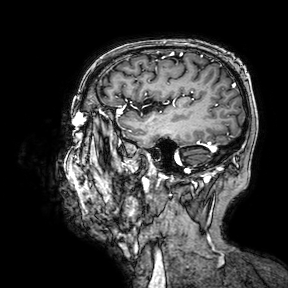
modality: 3 Tesla brain MRI
series: 3D T1-weighted turbo field echo with SENSE
study: ring-enhancing brain masses